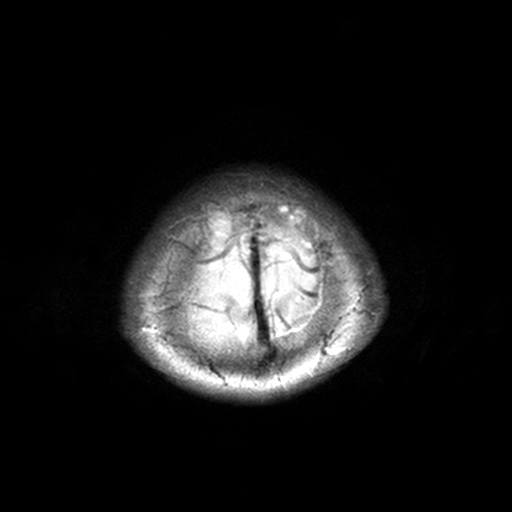
| field | value |
|---|---|
| modality | 3 Tesla brain MRI |
| series | T2-weighted turbo spin echo, 3 mm |
| study | ring-enhancing brain masses |